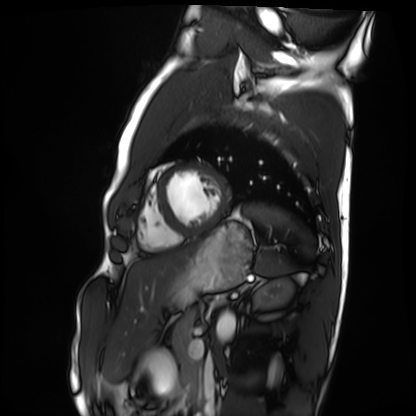
Clinical context: Cardiac MRI. Subject group: healthy volunteer.